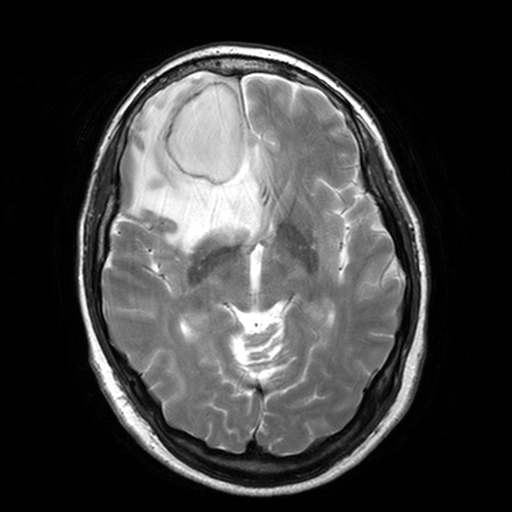
Case:
– modality · 3 Tesla brain MRI
– series · T2-weighted turbo spin echo, 3 mm
– study · ring-enhancing brain masses